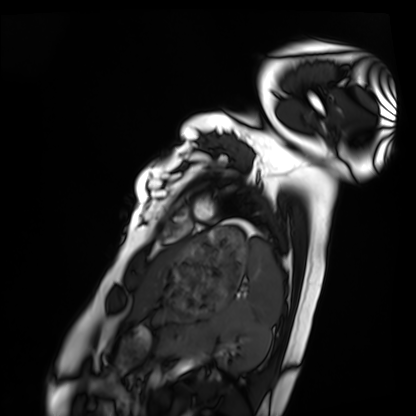
modality — cardiac MRI | subject group — healthy volunteer.